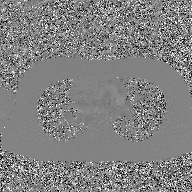
2D phase-contrast cine MRI of the ascending aorta, GAN super-resolution reconstruction.